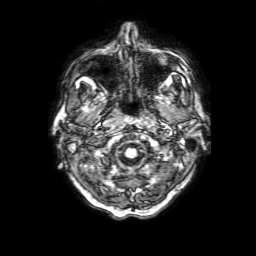
3 Tesla brain MRI. Series: 3D T1-weighted with SENSE. Study: ring-enhancing brain masses.